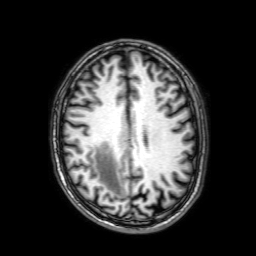
3 Tesla brain MRI.
Study: ring-enhancing brain masses.